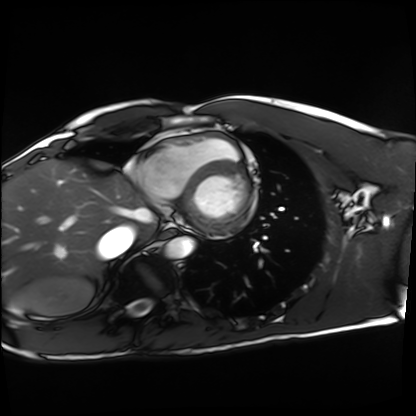
Clinical context:
Cardiac MRI. Subject group: healthy volunteer.